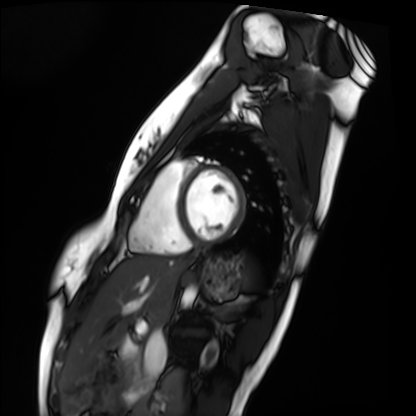
Cardiac MRI. Subject group: healthy volunteer.